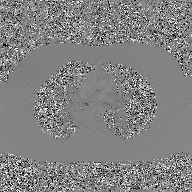
Summary:
2D phase-contrast cine MRI of the ascending aorta, GAN super-resolution reconstruction.